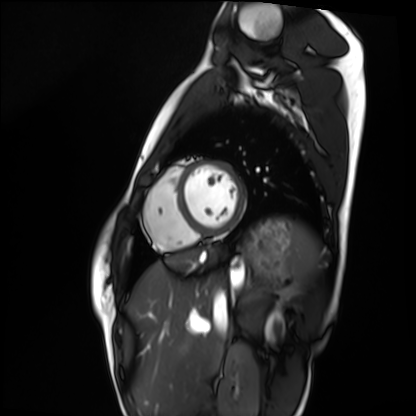
Cardiac MRI. Subject group: healthy volunteer.